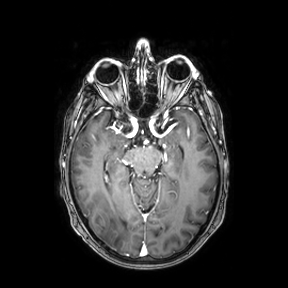
modality — 3 Tesla brain MRI
series — axial
study — ring-enhancing brain masses